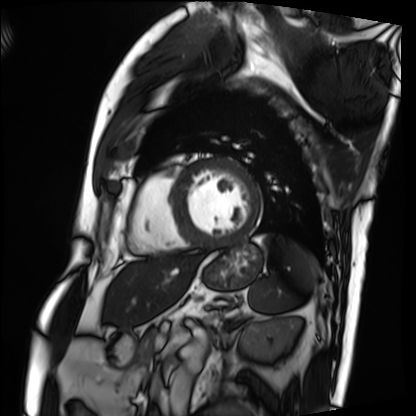
Summary:
Cardiac MRI. Subject group: patient.